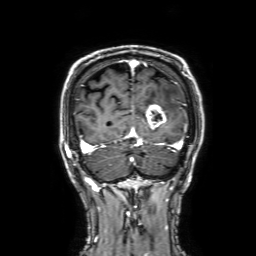
modality = 3 Tesla brain MRI | study = ring-enhancing brain masses.